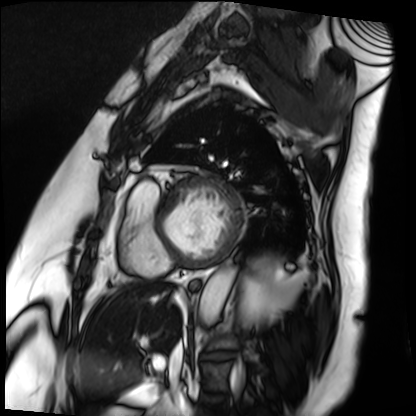
Cardiac MRI.
Subject group: patient.